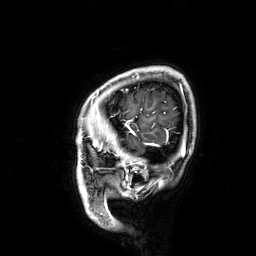
Clinical context:
3 Tesla brain MRI. Series: 3D T1-weighted. Study: ring-enhancing brain masses.